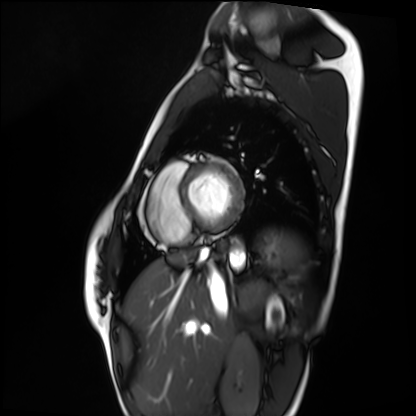
Case summary: Cardiac MRI. Subject group: healthy volunteer.